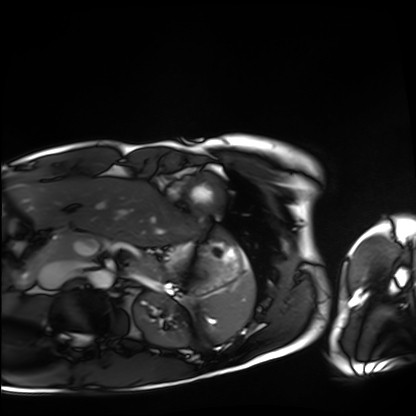
Cardiac MRI. Subject group: healthy volunteer.